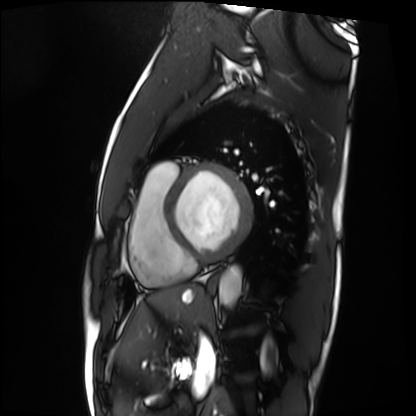
Cardiac MRI. Subject group: patient.